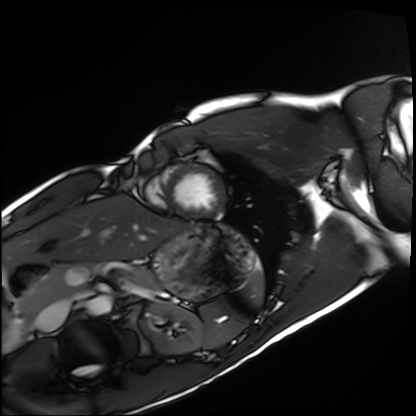
Summary:
Cardiac MRI. Subject group: healthy volunteer.